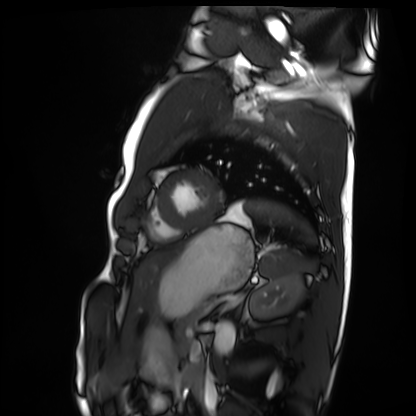
Case summary: Cardiac MRI. Subject group: healthy volunteer.